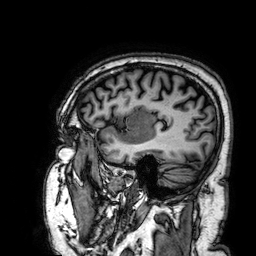
3 Tesla brain MRI. Series: 3D T1-weighted. Study: ring-enhancing brain masses.